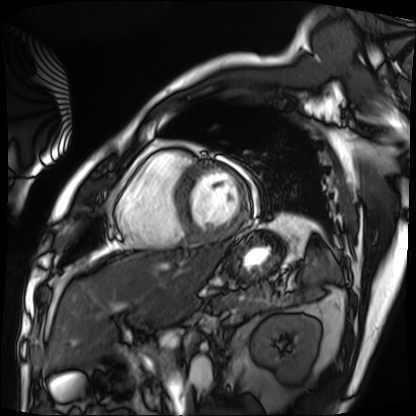
modality — cardiac MRI | subject group — patient.